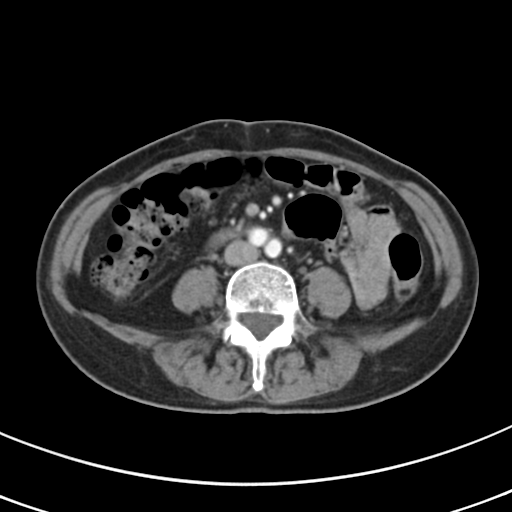
modality:
  type: multiphase abdominal CT
  region: liver
  phase: arterial
patient:
  sex: female
  age: 68